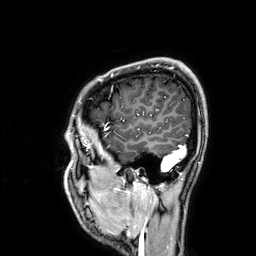
3 Tesla brain MRI. Series: 3D T1-weighted. Study: ring-enhancing brain masses.